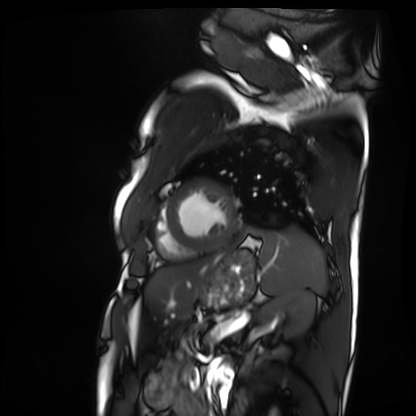
Summary: Cardiac MRI. Subject group: patient.